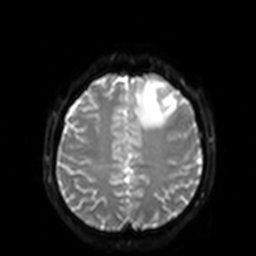
3 Tesla brain MRI.
Series: diffusion-weighted imaging with SENSE (WIP).
Study: ring-enhancing brain masses.